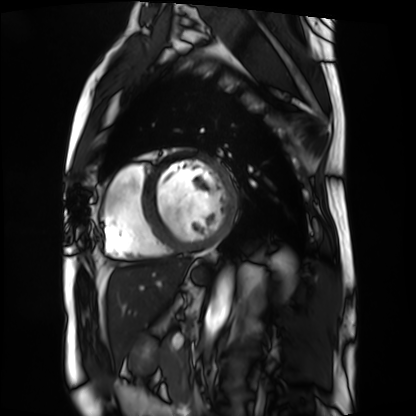
Cardiac MRI. Subject group: patient.